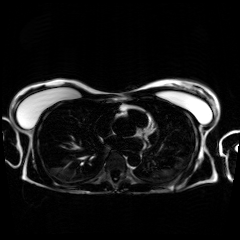
Clinical context:
Chemical-shift-encoded cardiac MRI.